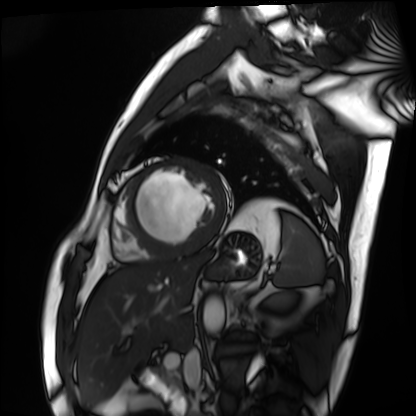
modality: cardiac MRI
subject group: patient